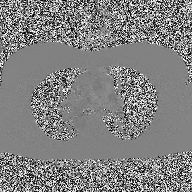
Summary:
2D phase-contrast cine MRI of the ascending aorta, high-resolution GRAPPA acquisition.